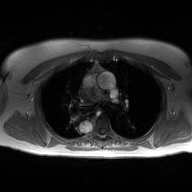
Clinical context: 2D phase-contrast cine MRI of the ascending aorta, high-resolution GRAPPA acquisition.